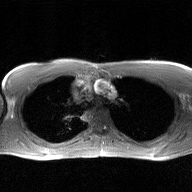
modality = 2D phase-contrast cine MRI of the ascending aorta, GAN super-resolution reconstruction.